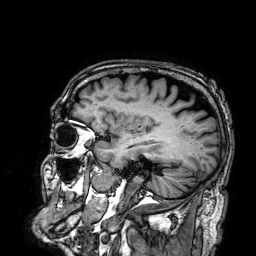
3 Tesla brain MRI. Series: 3D T1-weighted. Study: ring-enhancing brain masses.